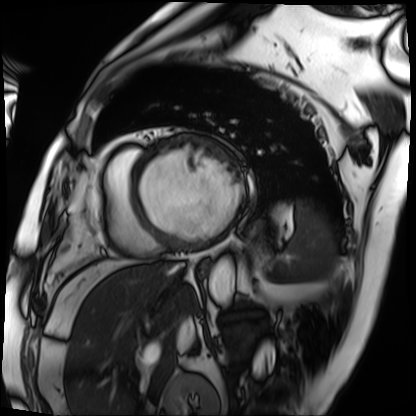
Cardiac MRI. Subject group: patient.